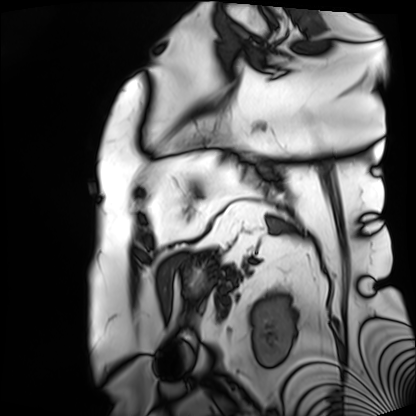
Cardiac MRI. Subject group: patient.